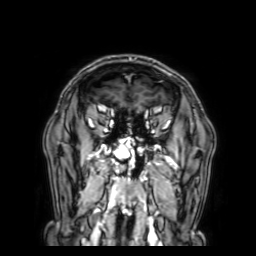
  modality:
    type: brain MRI
    field_strength: 3T
  series: 3D T1-weighted with SENSE
  study_topic: ring-enhancing brain masses